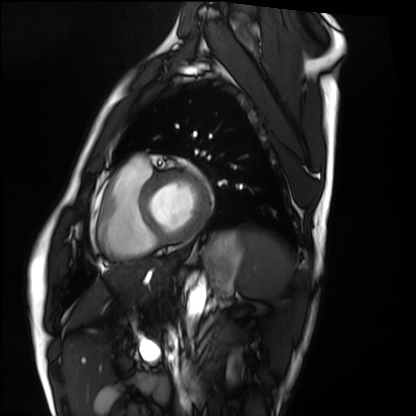
{
  "modality": "cardiac MRI",
  "cohort": "healthy volunteer"
}